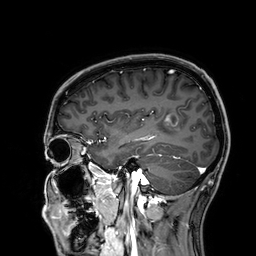
Case:
* modality — 3 Tesla brain MRI
* series — 3D T1-weighted
* study — ring-enhancing brain masses